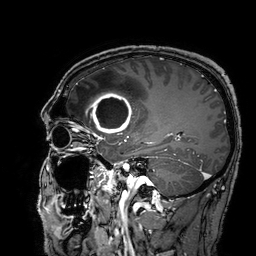
3 Tesla brain MRI. Study: ring-enhancing brain masses.